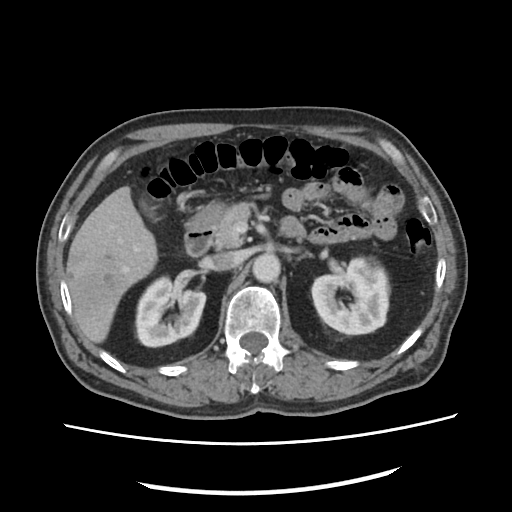
Q: What kind of scan is this?
A: Multiphase abdominal CT, liver, portal venous phase.
Q: Patient?
A: Male, age 59.